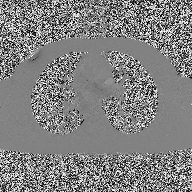
2D phase-contrast cine MRI of the ascending aorta, high-resolution GRAPPA acquisition.